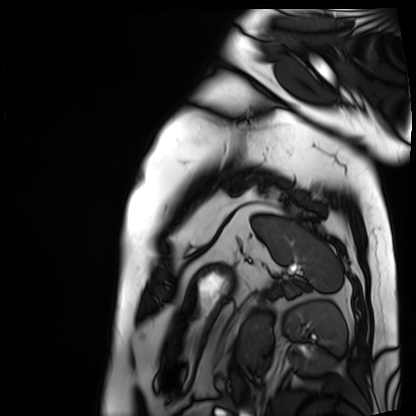
<scan>
  <modality>cardiac MRI</modality>
  <cohort>patient</cohort>
</scan>